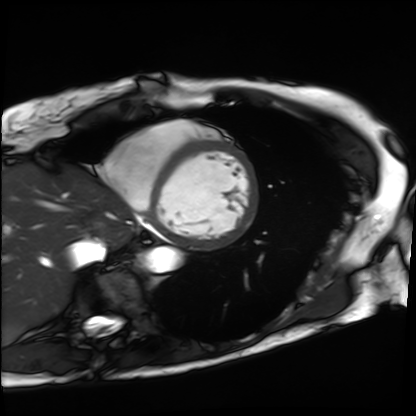
Cardiac MRI. Subject group: patient.